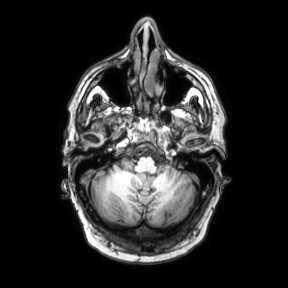
modality=3 Tesla brain MRI | series=axial | study=ring-enhancing brain masses.